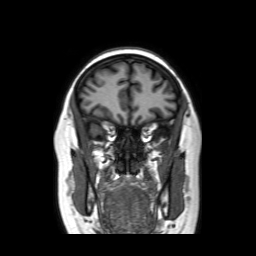
3 Tesla brain MRI. Series: coronal without contrast. Study: ring-enhancing brain masses.